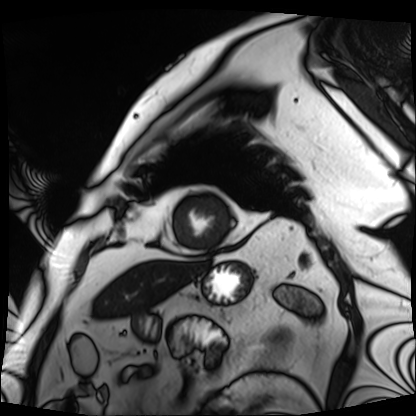
modality = cardiac MRI; subject group = patient.